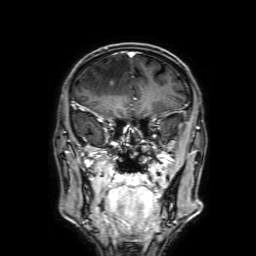
3 Tesla brain MRI.
Series: 3D T1-weighted with SENSE.
Study: ring-enhancing brain masses.